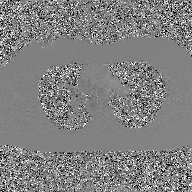
- modality — 2D phase-contrast cine MRI of the ascending aorta, GAN super-resolution reconstruction